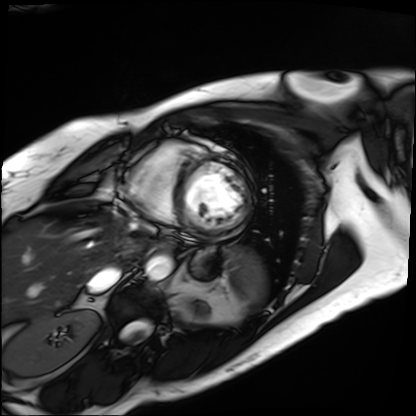
modality — cardiac MRI | subject group — patient.